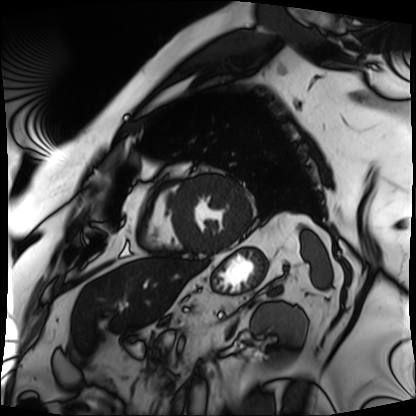
  modality: cardiac MRI
  cohort: patient